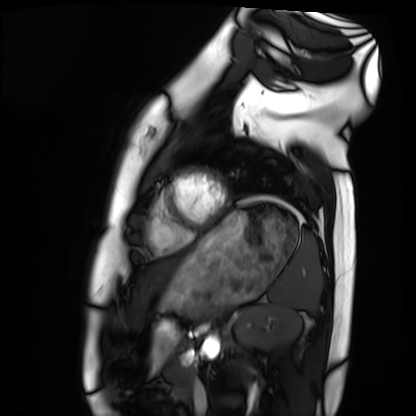
Cardiac MRI. Subject group: healthy volunteer.